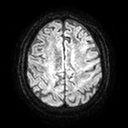
modality: 3 Tesla brain MRI; series: diffusion tensor imaging (medium iso); study: ring-enhancing brain masses.